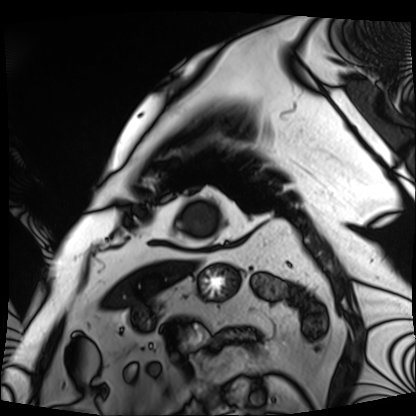
Summary:
Cardiac MRI. Subject group: patient.